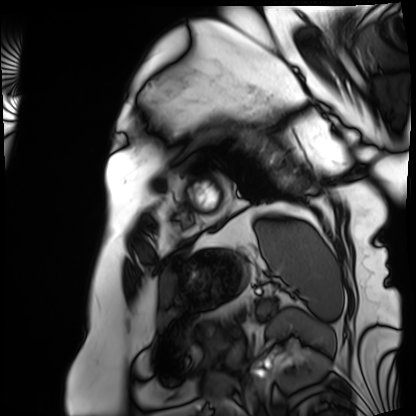
| field | value |
|---|---|
| modality | cardiac MRI |
| subject group | patient |